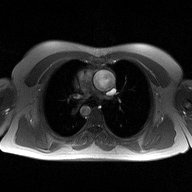
Case summary:
2D phase-contrast cine MRI of the ascending aorta, high-resolution GRAPPA acquisition.